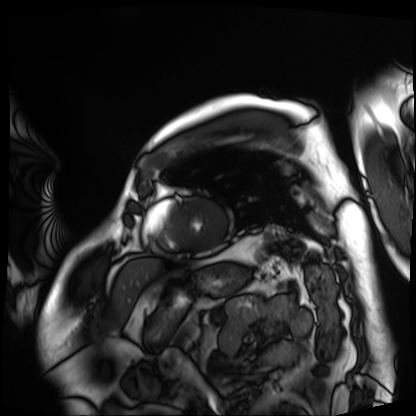
Summary:
Cardiac MRI. Subject group: patient.